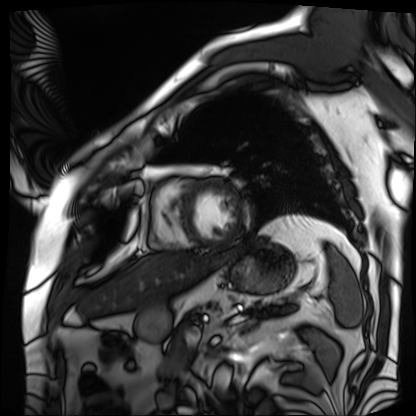
modality = cardiac MRI
subject group = patient